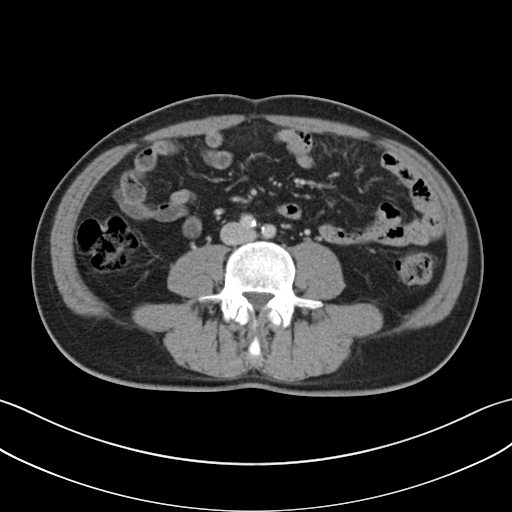
modality = multiphase abdominal CT, liver, portal venous phase
patient = male, age 48
history = cirrhosis, viral hepatitis, prior chemotherapy